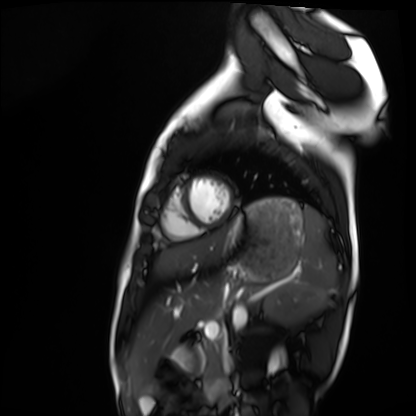
Q: What kind of scan is this?
A: Cardiac MRI.
Subject group: healthy volunteer.